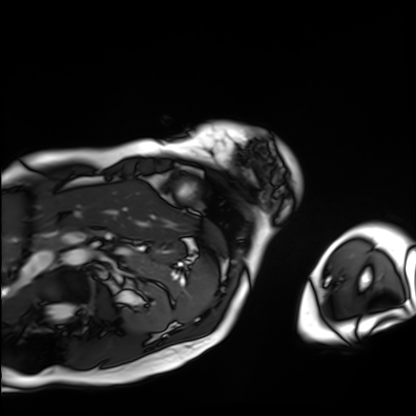
Case summary:
Cardiac MRI. Subject group: patient.